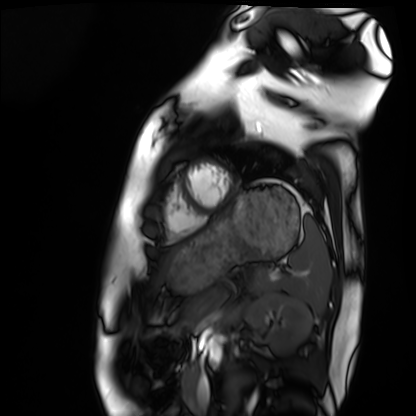
Summary: Cardiac MRI. Subject group: healthy volunteer.